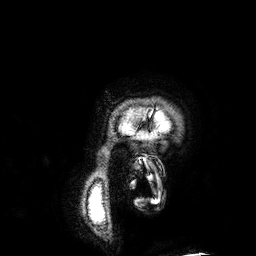
Case summary: 3 Tesla brain MRI. Series: 3D T1-weighted. Study: ring-enhancing brain masses.